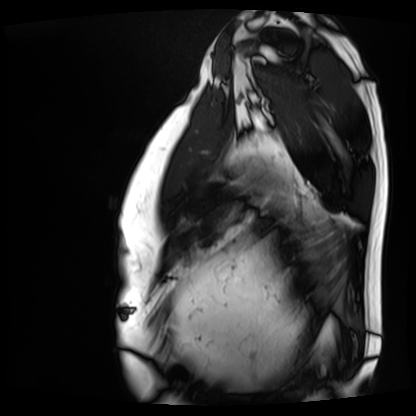
Case summary: Cardiac MRI. Subject group: patient.